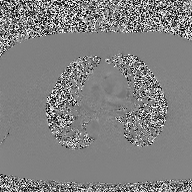
<case>
  <modality>
    <type>2D phase-contrast cine MRI</type>
    <region>ascending aorta</region>
    <reconstruction>high-resolution GRAPPA acquisition</reconstruction>
  </modality>
</case>